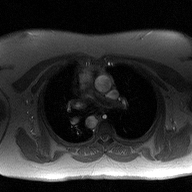
modality=2D phase-contrast cine MRI of the ascending aorta.